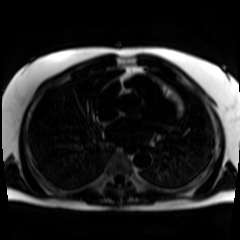
modality: chemical-shift-encoded cardiac MRI